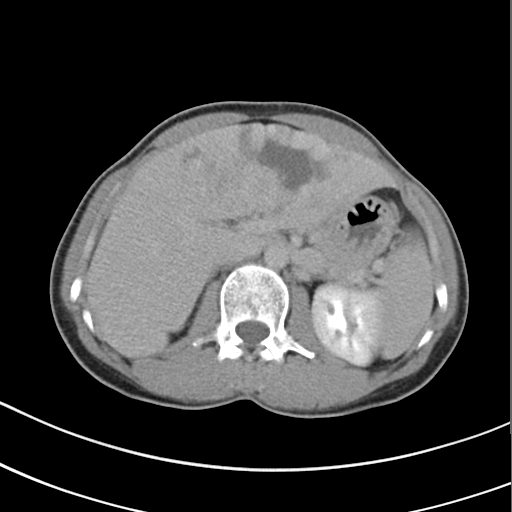
Multiphase abdominal CT, liver, delayed phase.
Patient: female, age 49.